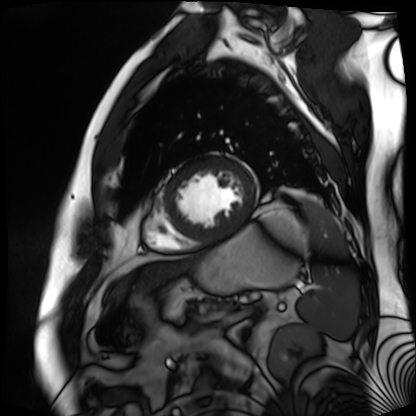
Summary:
Cardiac MR image of the myocardium. Subject cohort: cardiac patient.